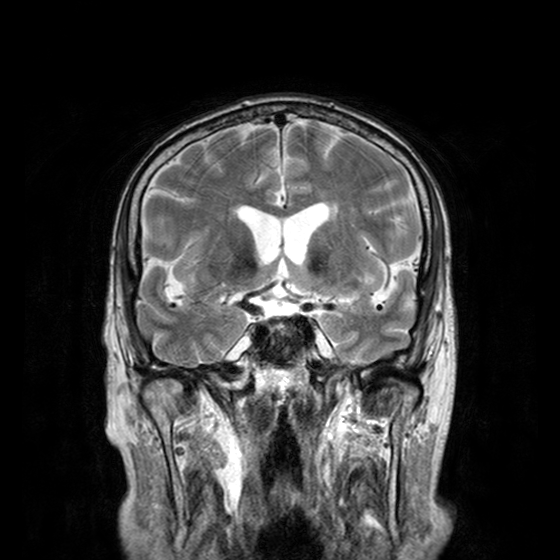
| field | value |
|---|---|
| modality | 3 Tesla brain MRI |
| series | T2-weighted turbo spin echo with CLEAR |
| study | ring-enhancing brain masses |